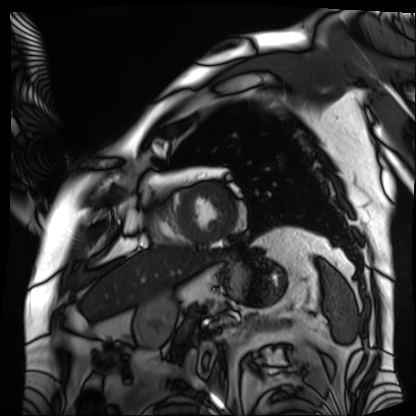
Cardiac MRI. Subject group: patient.